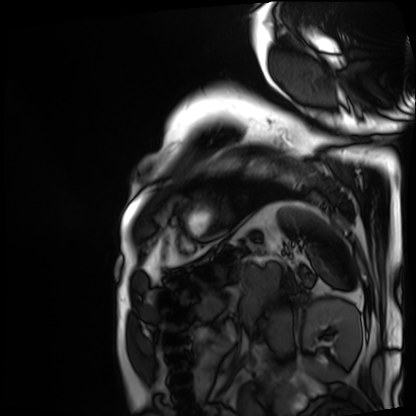
Q: What kind of scan is this?
A: Cardiac MRI.
Subject group: patient.